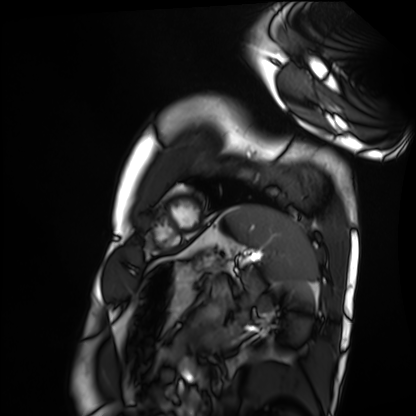
Q: What kind of scan is this?
A: Cardiac MRI.
Subject group: healthy volunteer.